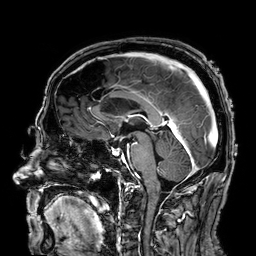
  modality:
    type: brain MRI
    field_strength: 3T
  series: 3D T1-weighted
  study_topic: ring-enhancing brain masses